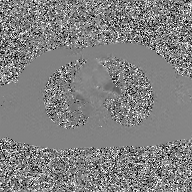
modality: 2D phase-contrast cine MRI of the ascending aorta, GAN super-resolution reconstruction.